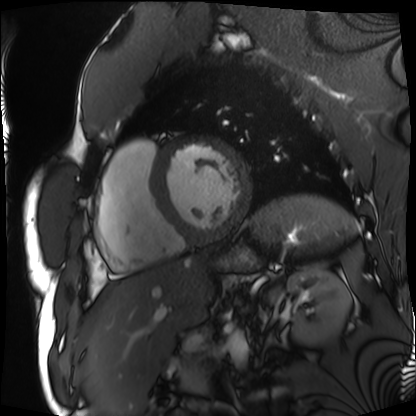
Cardiac MRI.
Subject group: patient.